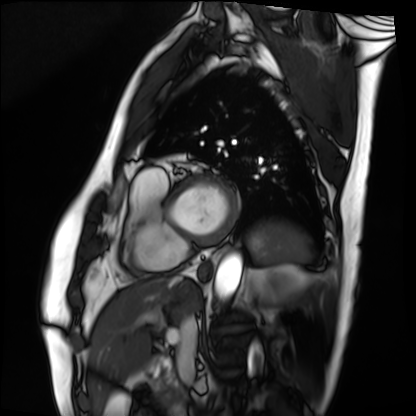
- modality: cardiac MRI
- subject group: patient